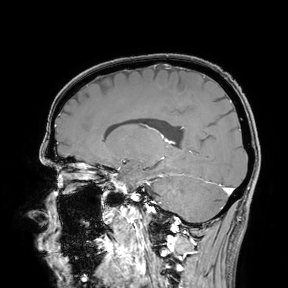
| field | value |
|---|---|
| modality | 3 Tesla brain MRI |
| study | ring-enhancing brain masses |